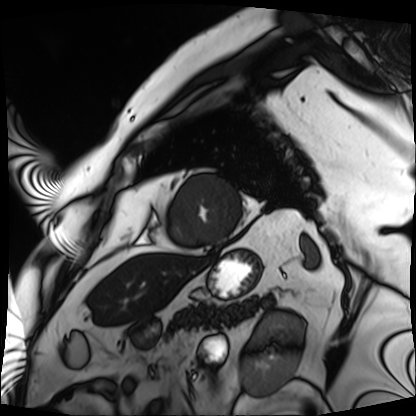
Cardiac MRI.
Subject group: patient.